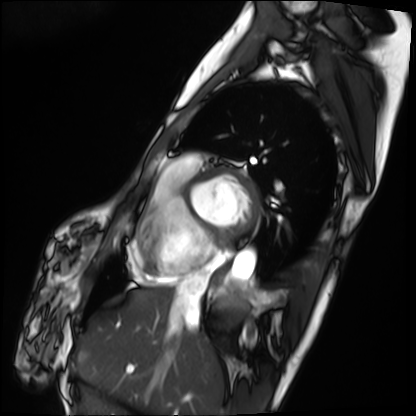
Summary: Cardiac MRI. Subject group: patient.